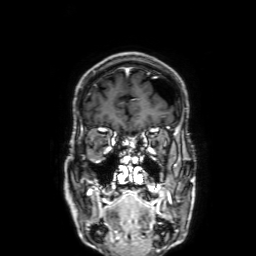
3 Tesla brain MRI. Series: 3D T1-weighted with SENSE. Study: ring-enhancing brain masses.